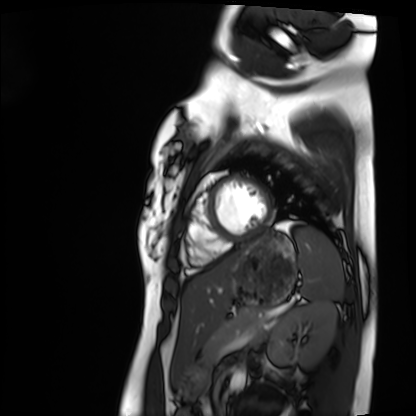
{
  "modality": "cardiac MRI",
  "cohort": "healthy volunteer"
}